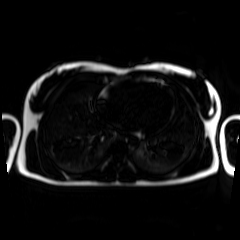
Summary:
Chemical-shift-encoded cardiac MRI.